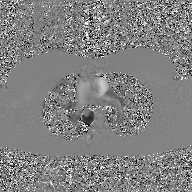
Clinical context:
2D phase-contrast cine MRI of the ascending aorta, GAN super-resolution reconstruction.